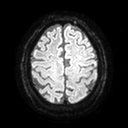
3 Tesla brain MRI.
Series: diffusion tensor imaging (medium iso).
Study: ring-enhancing brain masses.